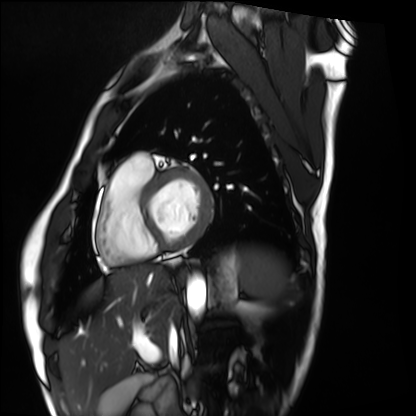
Cardiac MRI. Subject group: healthy volunteer.